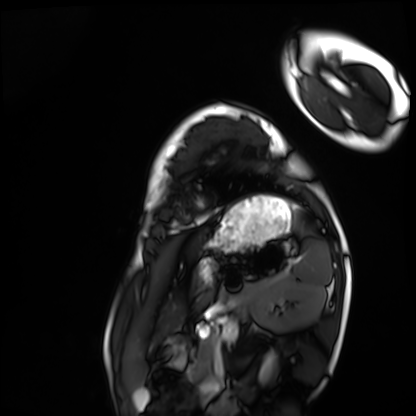
Cardiac MRI.
Subject group: healthy volunteer.